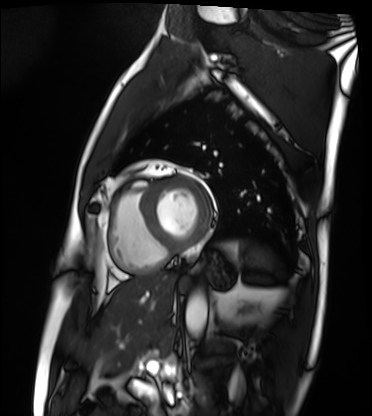
Clinical context: Cardiac MRI. Subject group: patient.